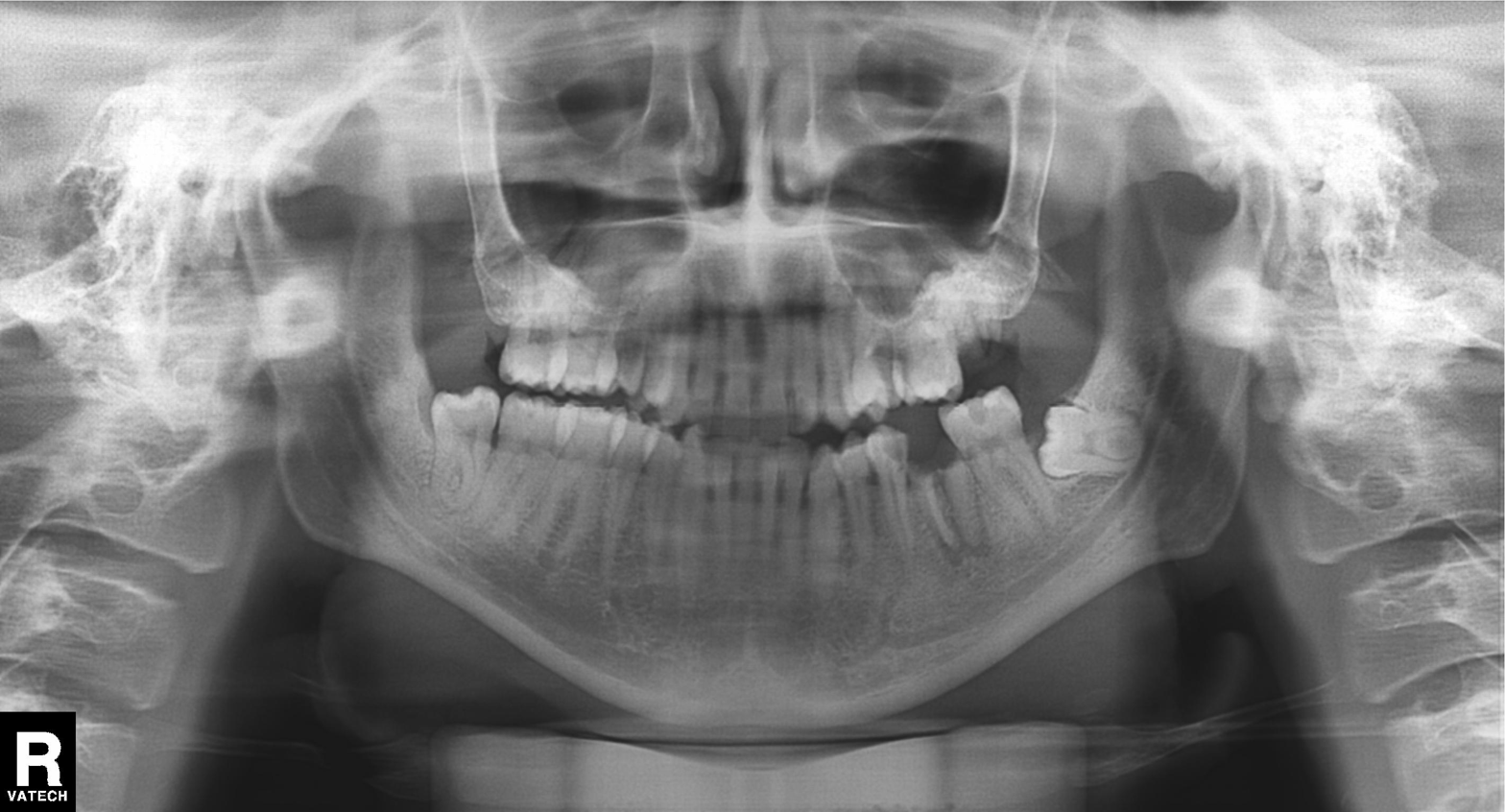
Panoramic dental radiograph (orthopantomogram). Finding: alveolar bone loss.